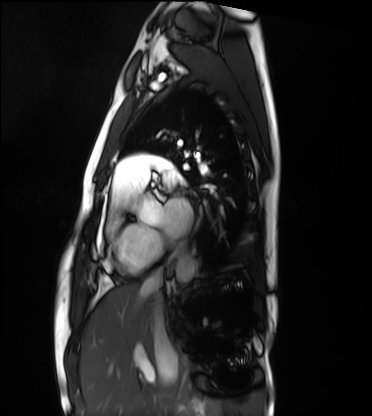
modality = cardiac MRI; subject group = healthy volunteer.